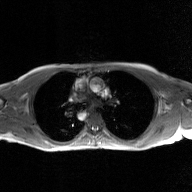
modality = 2D phase-contrast cine MRI of the ascending aorta, GAN super-resolution reconstruction